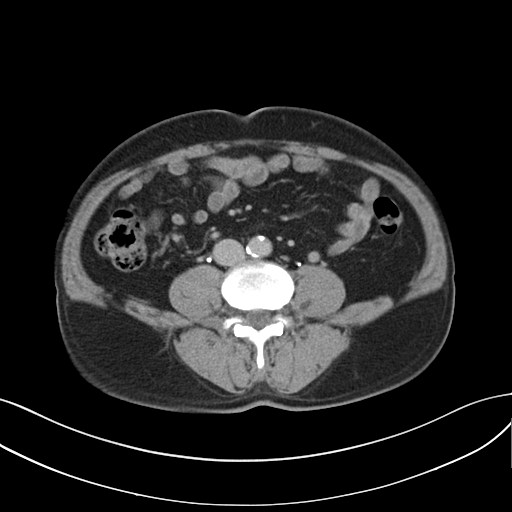
modality: multiphase abdominal CT, liver, delayed phase
patient: male, age 61
history: cirrhosis, viral hepatitis